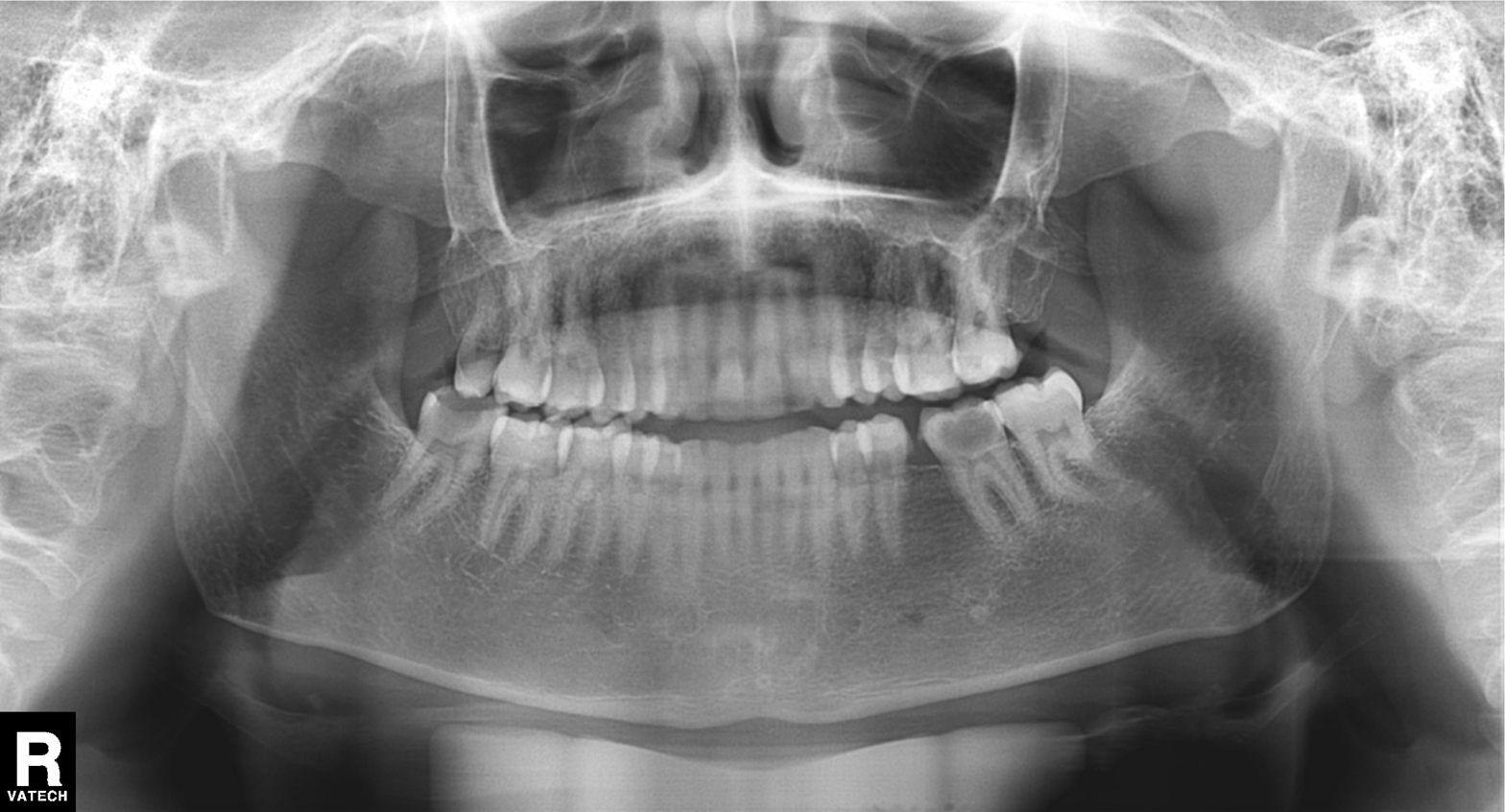
Q: What kind of scan is this?
A: Panoramic dental radiograph (orthopantomogram).
Q: What is the radiographic finding?
A: Tooth impaction.